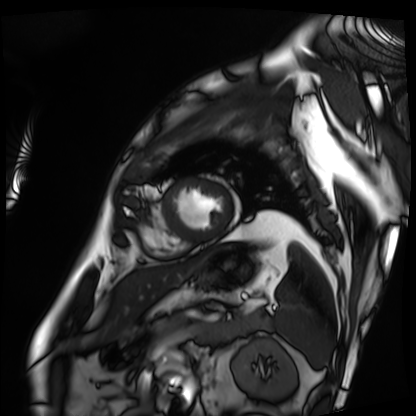
<scan>
<modality>cardiac MRI</modality>
<cohort>patient</cohort>
</scan>